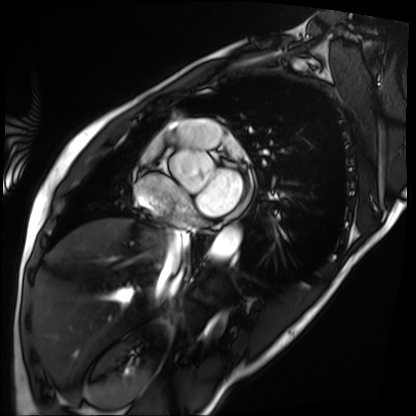
modality = cardiac MRI
subject group = patient